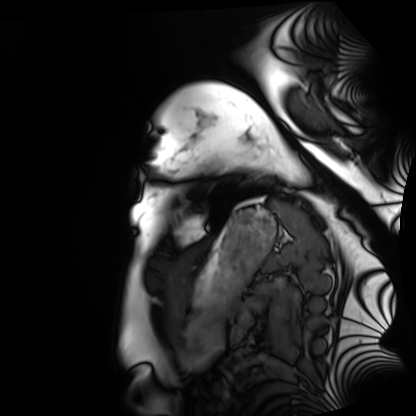
modality: cardiac MRI
subject group: healthy volunteer